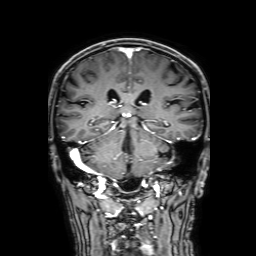
Clinical context: 3 Tesla brain MRI. Series: 3D T1-weighted with SENSE. Study: ring-enhancing brain masses.